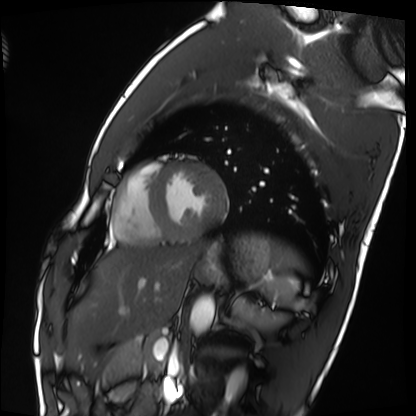
Cardiac MRI. Subject group: healthy volunteer.